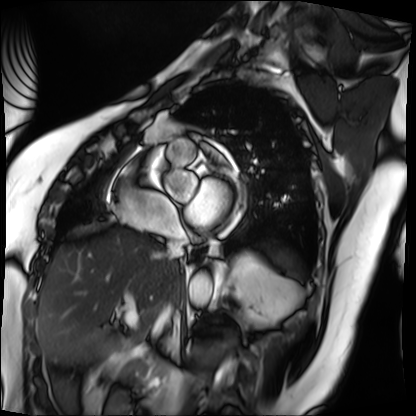
Clinical context:
Cardiac MRI. Subject group: patient.